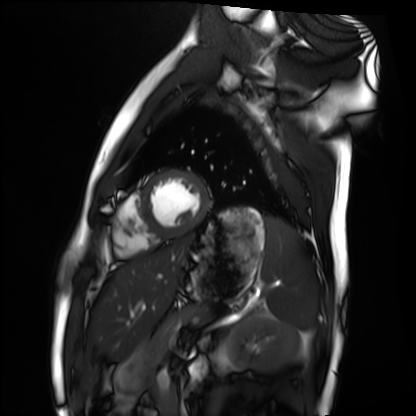
Case:
- modality · cardiac MRI
- subject group · healthy volunteer